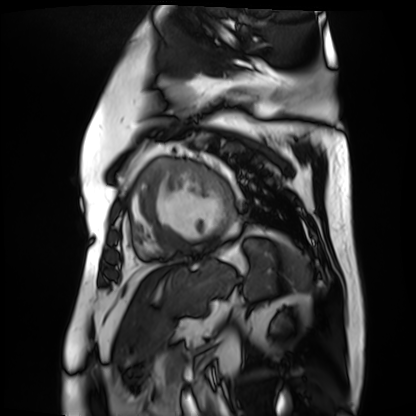
Cardiac MR image of the myocardium.
Subject cohort: cardiac patient.